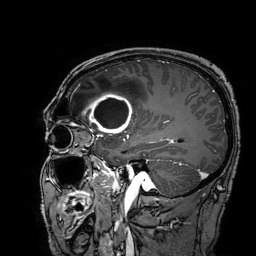
{
  "modality": {
    "type": "brain MRI",
    "field_strength": "3T"
  },
  "series": "3D T1-weighted turbo field echo with SENSE",
  "study_topic": "ring-enhancing brain masses"
}